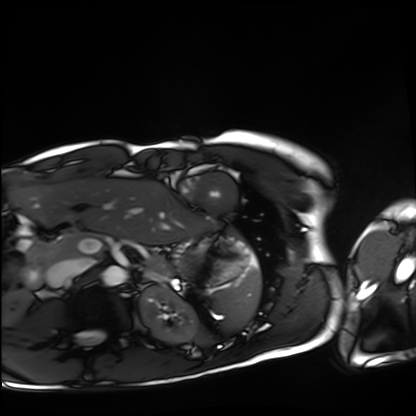
{"modality": "cardiac MRI", "cohort": "healthy volunteer"}